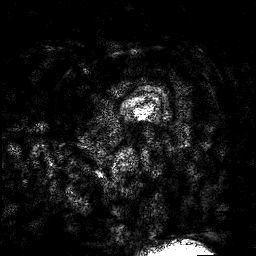
3 Tesla brain MRI.
Series: 3D T1-weighted turbo field echo with SENSE.
Study: ring-enhancing brain masses.